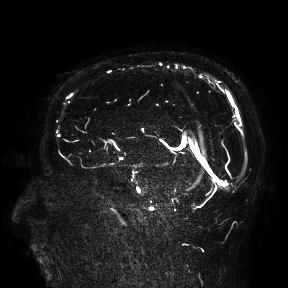
{
  "modality": {
    "type": "brain MRI",
    "field_strength": "3T"
  },
  "study_topic": "ring-enhancing brain masses"
}